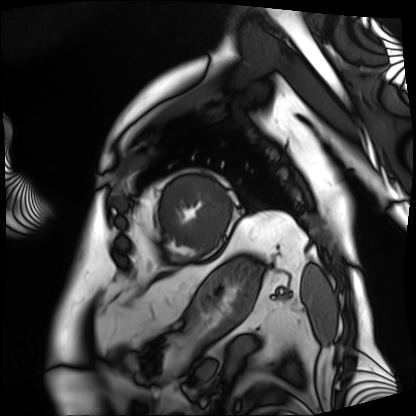
modality: cardiac MRI
subject group: patient